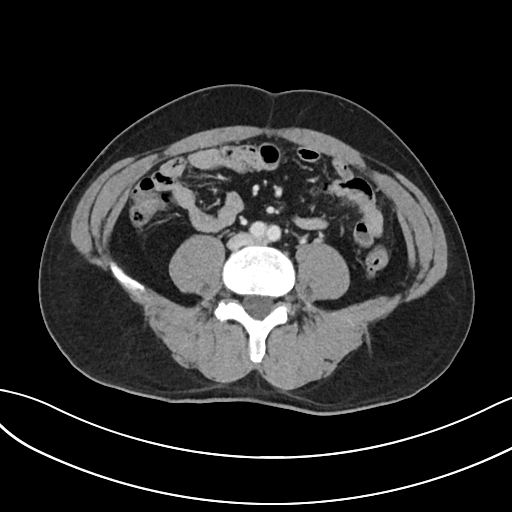
Summary: Multiphase abdominal CT, liver, portal venous phase. Patient: male, age 47. History: cirrhosis, viral hepatitis.